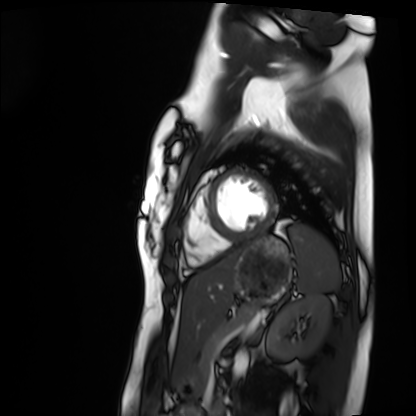
{"modality": "cardiac MRI", "cohort": "healthy volunteer"}